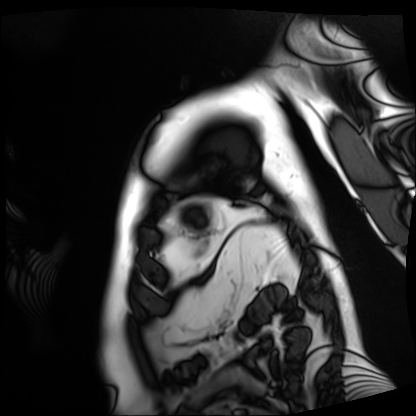
Cardiac MRI.
Subject group: patient.